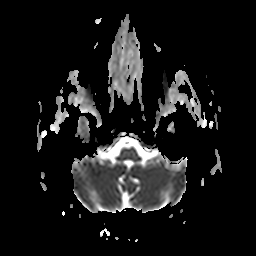
Clinical context: 3 Tesla brain MRI. Series: apparent diffusion coefficient (ADC) map. Study: ring-enhancing brain masses.